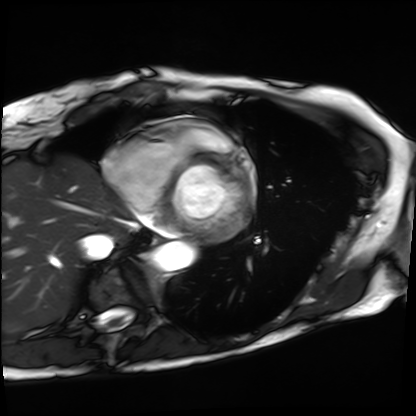
{
  "modality": "cardiac MRI",
  "cohort": "patient"
}